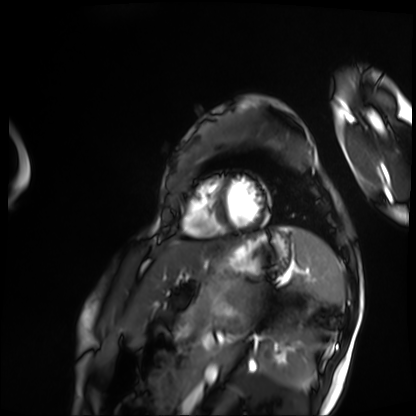
<scan>
  <modality>cardiac MRI</modality>
  <cohort>patient</cohort>
</scan>